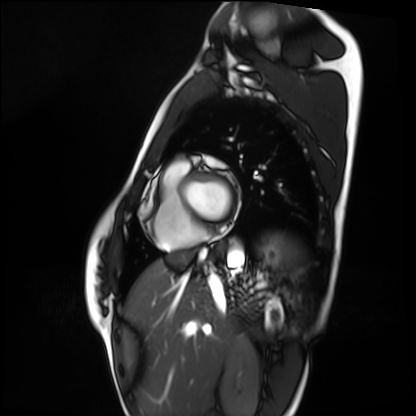
Cardiac MRI. Subject group: healthy volunteer.